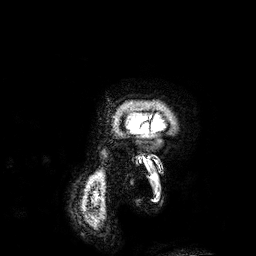
Clinical context:
3 Tesla brain MRI. Series: 3D T1-weighted. Study: ring-enhancing brain masses.